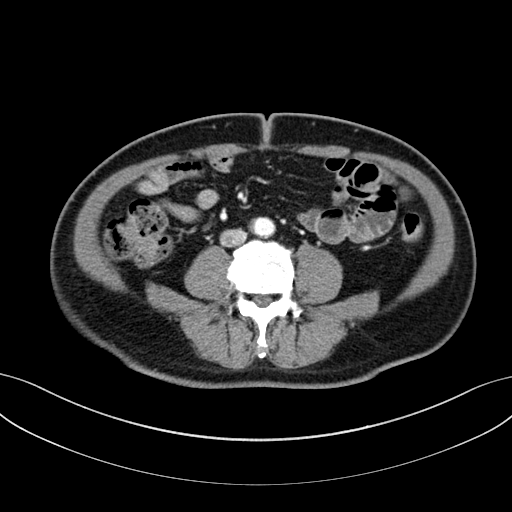
Case summary:
Multiphase abdominal CT, liver, portal venous phase. Patient: male, age 61.